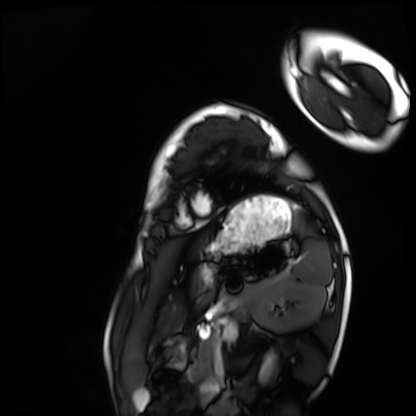
Cardiac MRI.
Subject group: healthy volunteer.